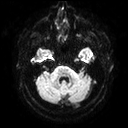
Summary:
3 Tesla brain MRI. Series: diffusion tensor imaging (medium iso). Study: ring-enhancing brain masses.